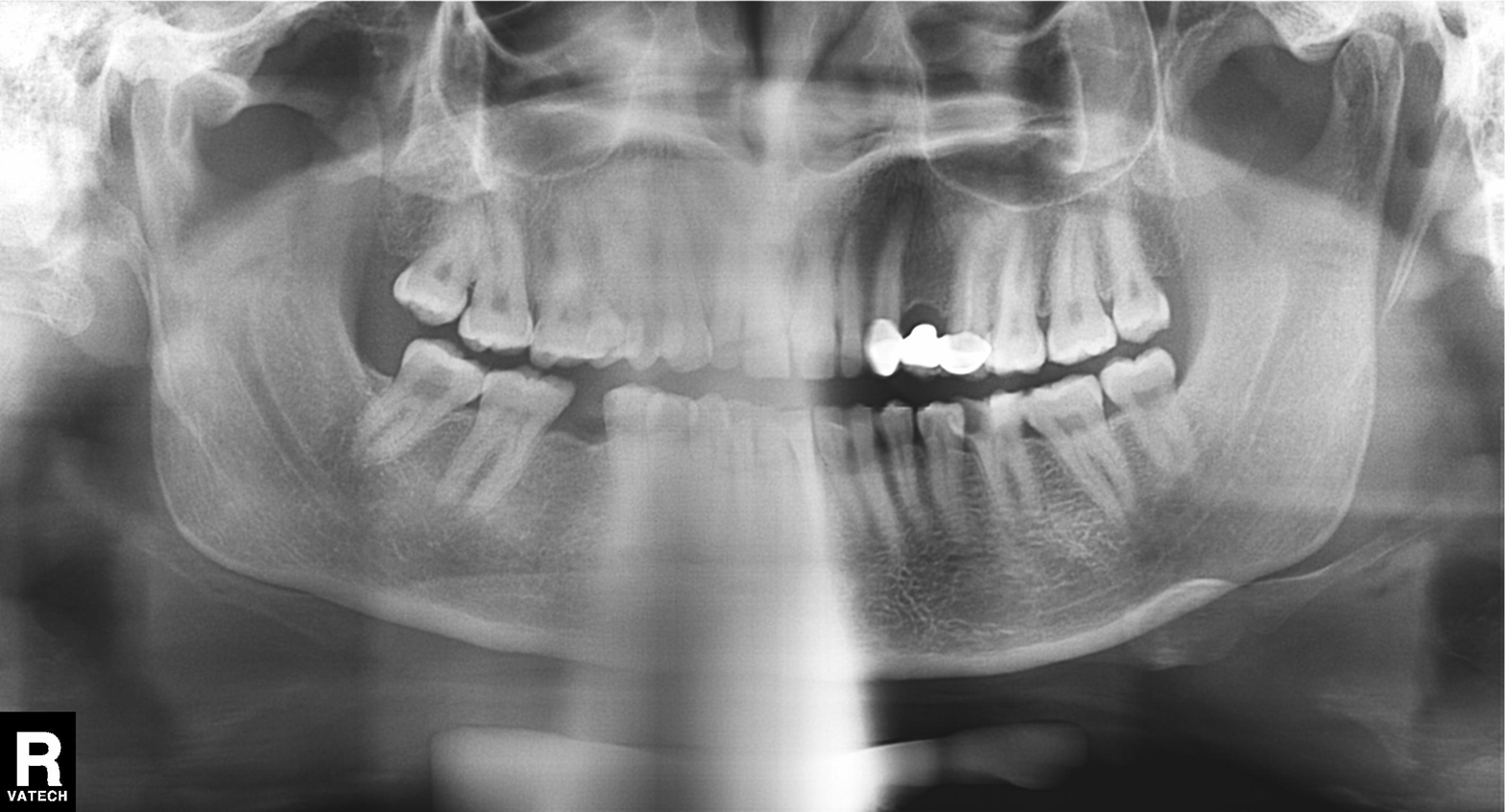
<record>
  <modality>panoramic dental radiograph (orthopantomogram)</modality>
  <finding>tooth impaction</finding>
</record>